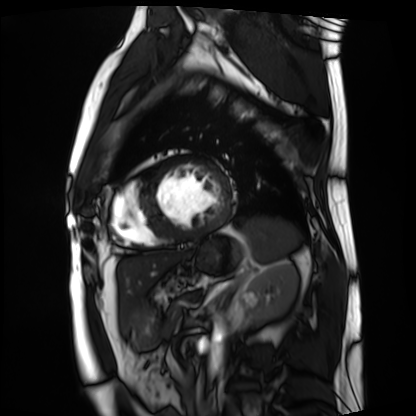
Summary: Cardiac MRI. Subject group: patient.